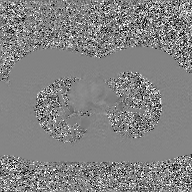
Q: What kind of scan is this?
A: 2D phase-contrast cine MRI of the ascending aorta, GAN super-resolution reconstruction.